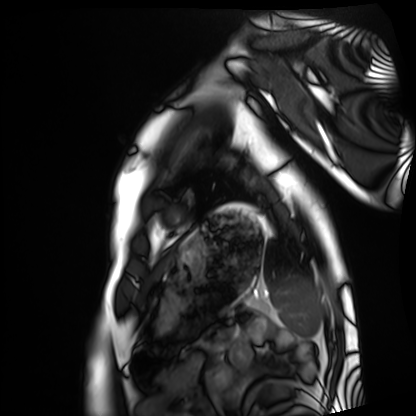
modality=cardiac MRI | subject group=healthy volunteer.